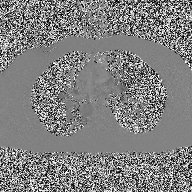
Clinical context:
2D phase-contrast cine MRI of the ascending aorta, high-resolution GRAPPA acquisition.